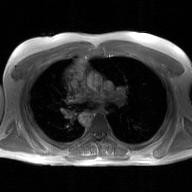
Q: What kind of scan is this?
A: 2D phase-contrast cine MRI of the ascending aorta, GAN super-resolution reconstruction.